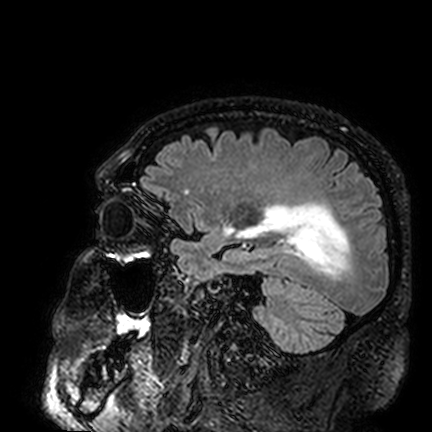
3 Tesla brain MRI. Series: FLAIR VISTA. Study: ring-enhancing brain masses.